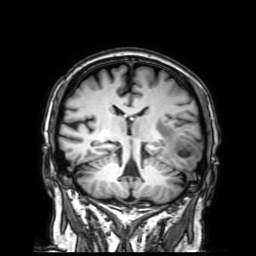
Clinical context: 3 Tesla brain MRI. Series: 3D T1-weighted with SENSE. Study: ring-enhancing brain masses.